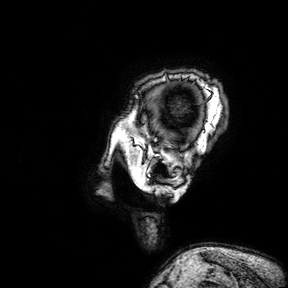
Summary: 3 Tesla brain MRI. Series: 3D T1-weighted turbo field echo with SENSE. Study: ring-enhancing brain masses.